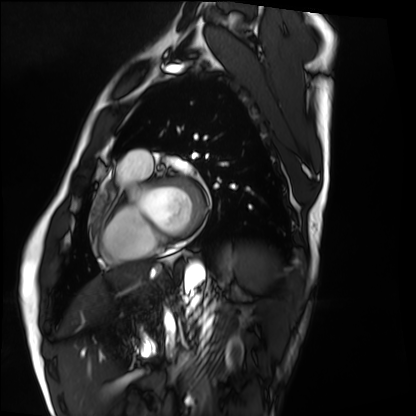
• modality · cardiac MRI
• subject group · healthy volunteer